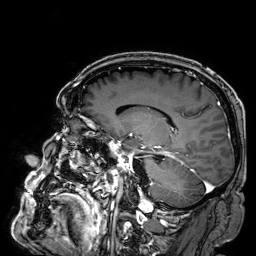
3 Tesla brain MRI. Series: 3D T1-weighted. Study: ring-enhancing brain masses.